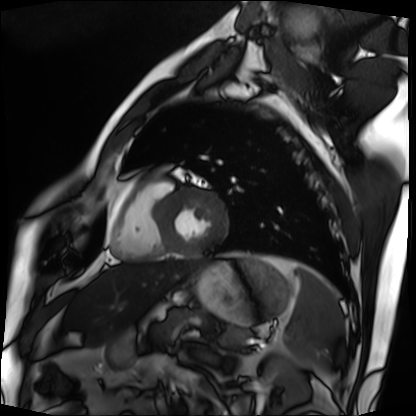
{
  "modality": "cardiac MRI",
  "cohort": "patient"
}